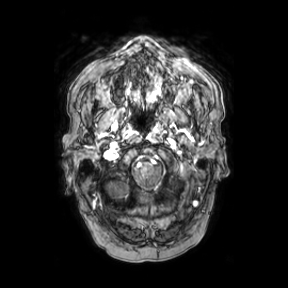
3 Tesla brain MRI. Series: axial. Study: ring-enhancing brain masses.